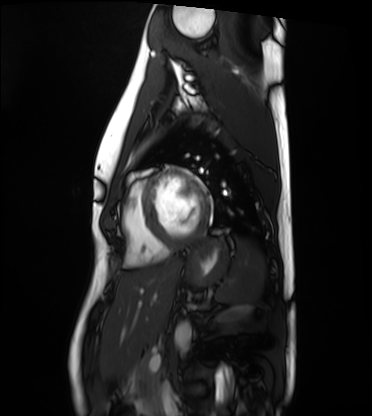
Q: What kind of scan is this?
A: Cardiac MRI.
Subject group: healthy volunteer.